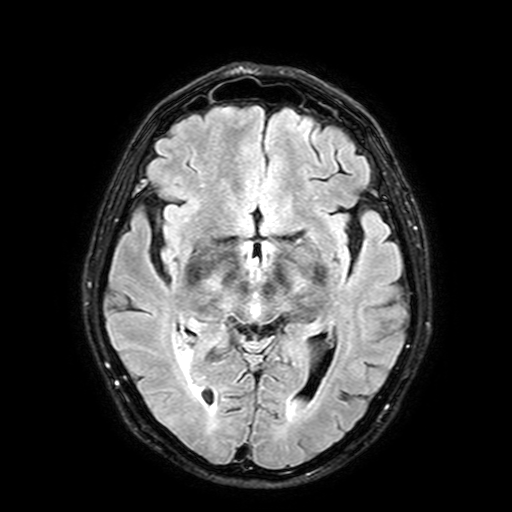
Q: What kind of scan is this?
A: 3 Tesla brain MRI.
Q: Series?
A: FLAIR with SPAIR, 3 mm.
Study: ring-enhancing brain masses.